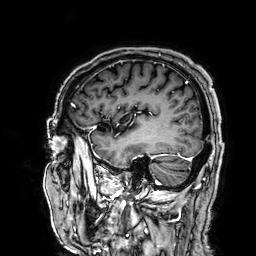
modality: 3 Tesla brain MRI; series: 3D T1-weighted; study: ring-enhancing brain masses.